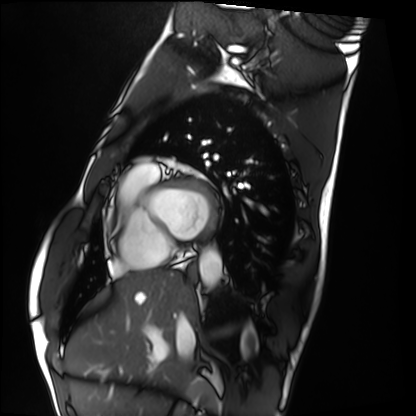
{
  "modality": "cardiac MRI",
  "cohort": "healthy volunteer"
}